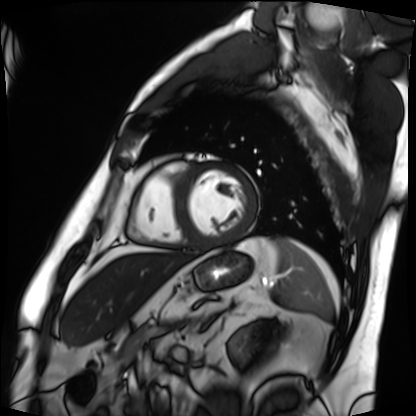
* modality: cardiac MRI
* subject group: patient